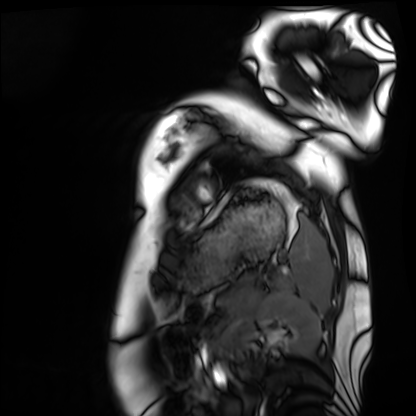
Q: What kind of scan is this?
A: Cardiac MRI.
Subject group: healthy volunteer.